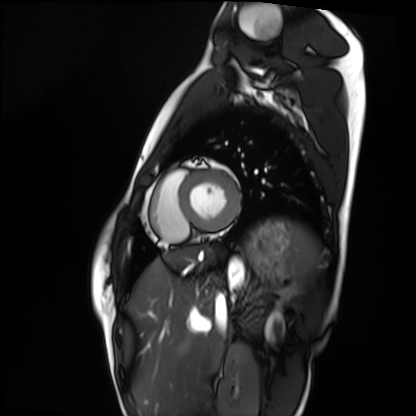
Case:
- modality · cardiac MRI
- subject group · healthy volunteer